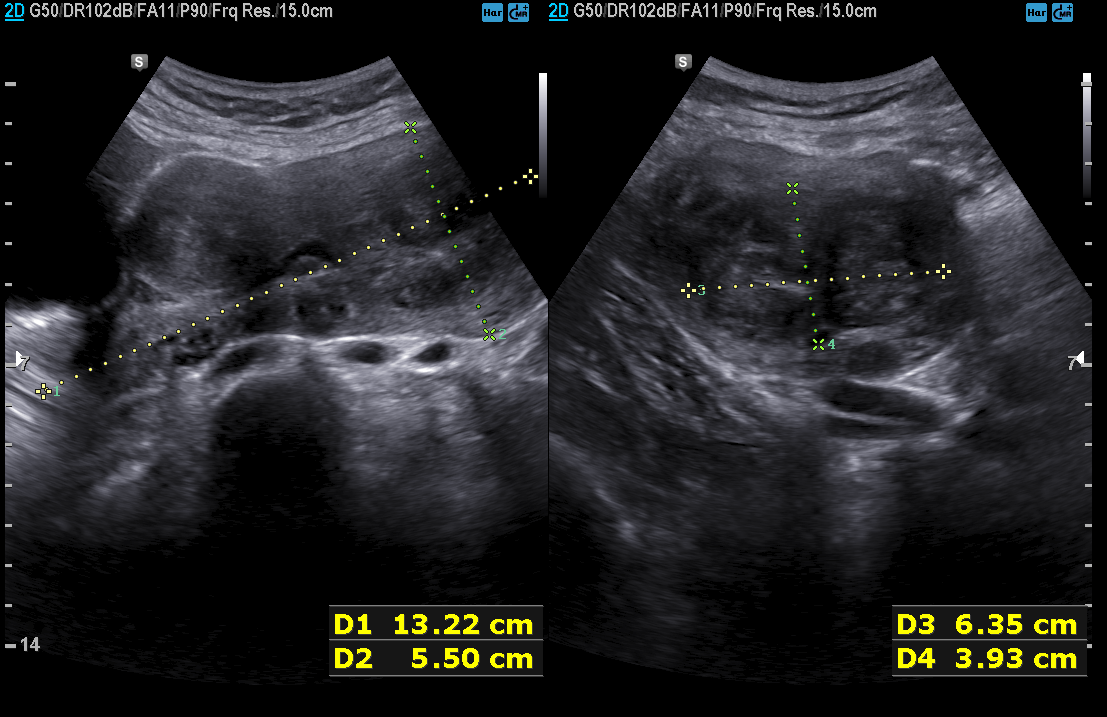
{
  "modality": {
    "type": "genitourinary ultrasound"
  }
}